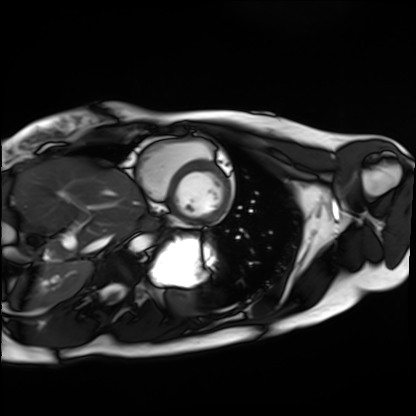
Q: What kind of scan is this?
A: Cardiac MRI.
Subject group: healthy volunteer.